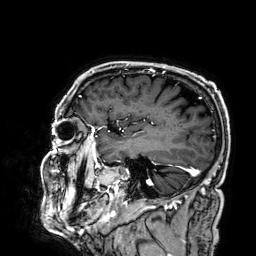
modality = 3 Tesla brain MRI; series = 3D T1-weighted; study = ring-enhancing brain masses.